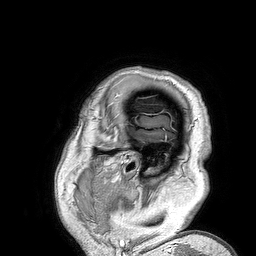
Clinical context: 3 Tesla brain MRI. Series: 3D T1-weighted turbo field echo. Study: ring-enhancing brain masses.